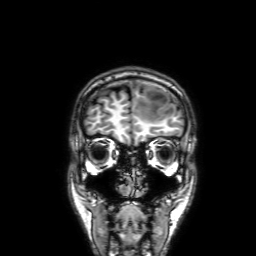
modality: 3 Tesla brain MRI; series: 3D T1-weighted with SENSE; study: ring-enhancing brain masses.